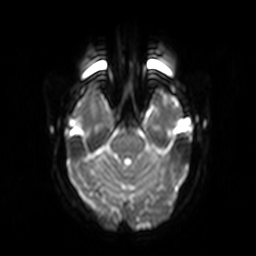
Case summary:
3 Tesla brain MRI. Series: diffusion-weighted imaging. Study: ring-enhancing brain masses.